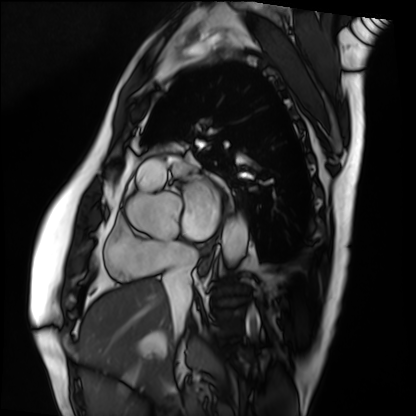
Case summary: Cardiac MRI. Subject group: patient.